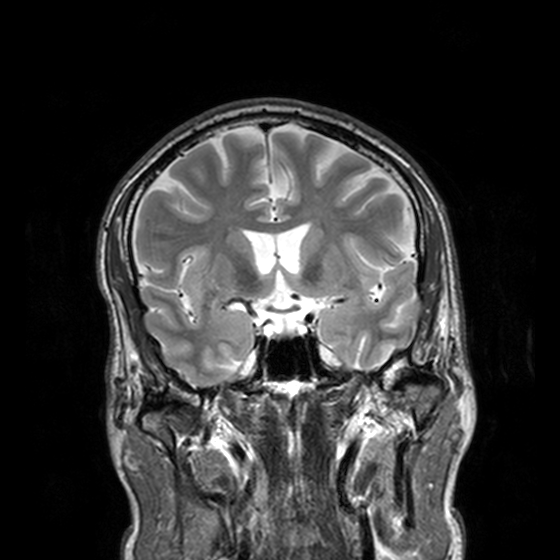
{"modality": {"type": "brain MRI", "field_strength": "3T"}, "series": "T2-weighted turbo spin echo, 3 mm", "study_topic": "ring-enhancing brain masses"}